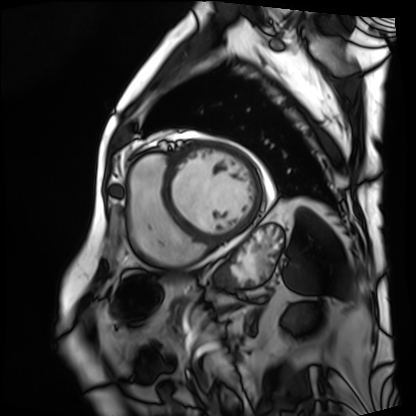
modality — cardiac MRI | subject group — patient.